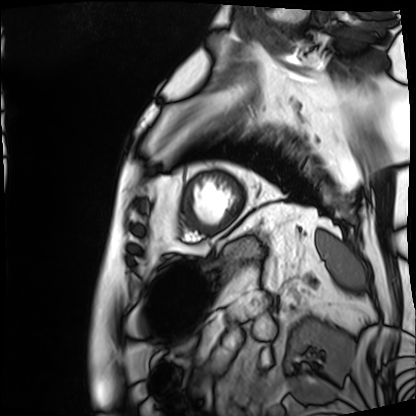
{"modality": "cardiac MRI", "cohort": "patient"}